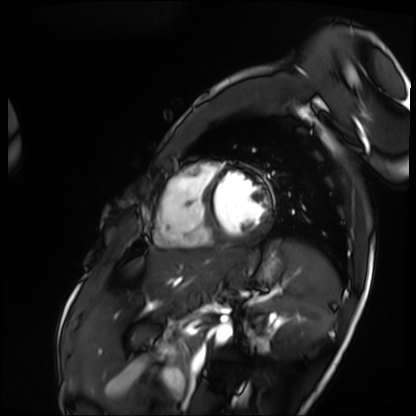
modality = cardiac MRI | subject group = patient.